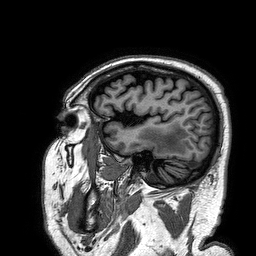
modality = 3 Tesla brain MRI; series = 3D T1-weighted turbo field echo; study = ring-enhancing brain masses.